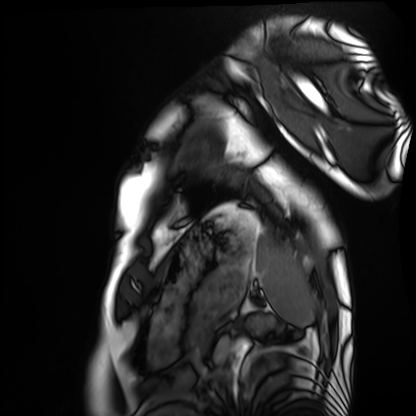
Cardiac MRI. Subject group: healthy volunteer.